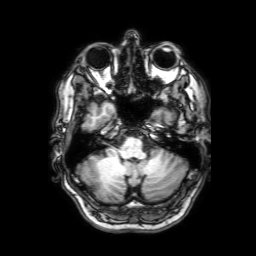
3 Tesla brain MRI.
Series: 3D T1-weighted with SENSE.
Study: ring-enhancing brain masses.